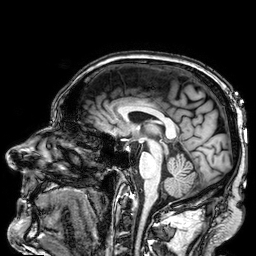
Clinical context:
3 Tesla brain MRI. Series: 3D T1-weighted. Study: ring-enhancing brain masses.